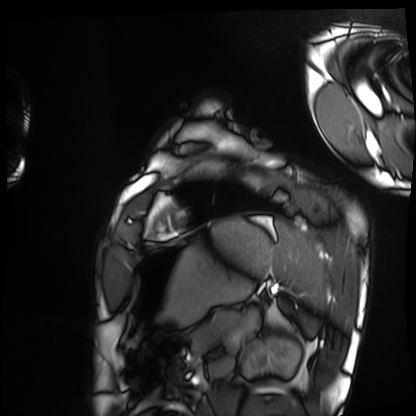
Cardiac MRI. Subject group: healthy volunteer.